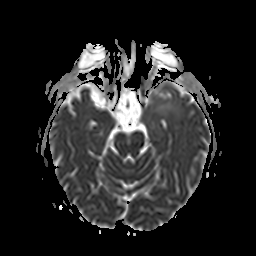
Q: What kind of scan is this?
A: 3 Tesla brain MRI.
Q: Series?
A: Apparent diffusion coefficient (ADC) map.
Study: ring-enhancing brain masses.